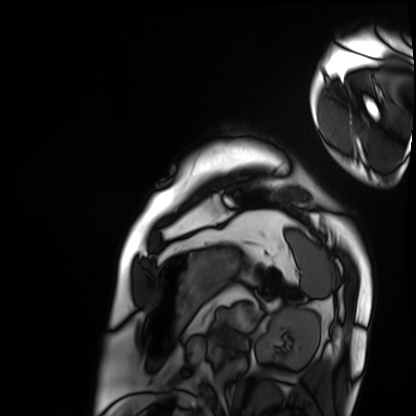
- modality: cardiac MRI
- subject group: patient